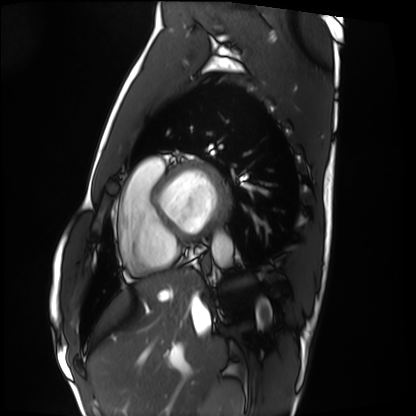
Cardiac MRI. Subject group: healthy volunteer.